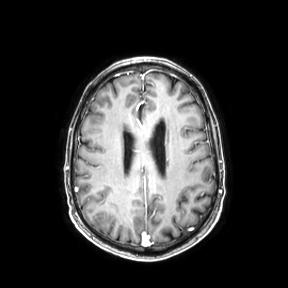
modality: 3 Tesla brain MRI
series: axial
study: ring-enhancing brain masses